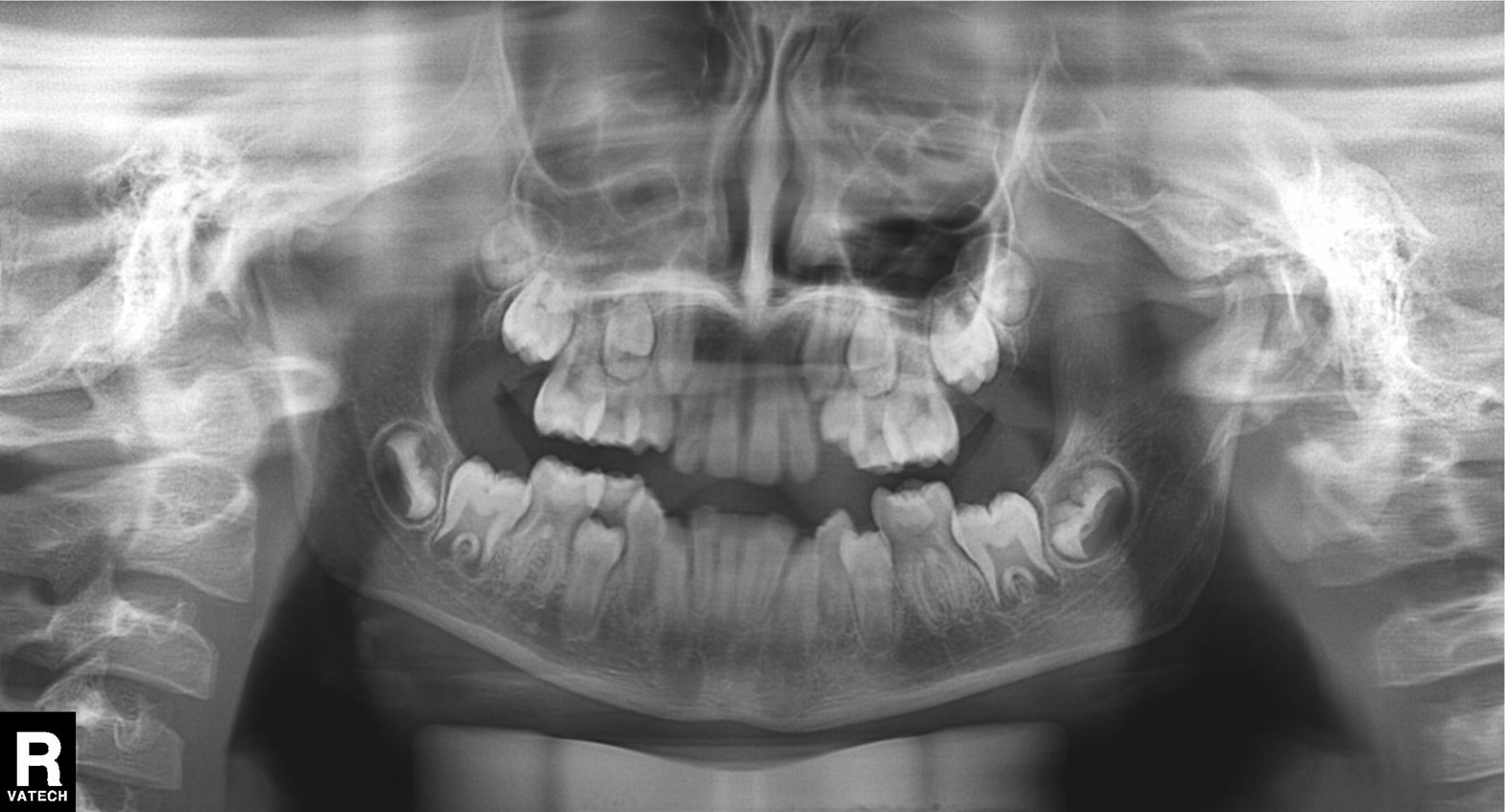
modality = panoramic dental radiograph (orthopantomogram), finding = alveolar bone loss.